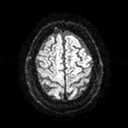
3 Tesla brain MRI. Series: diffusion tensor imaging (medium iso). Study: ring-enhancing brain masses.